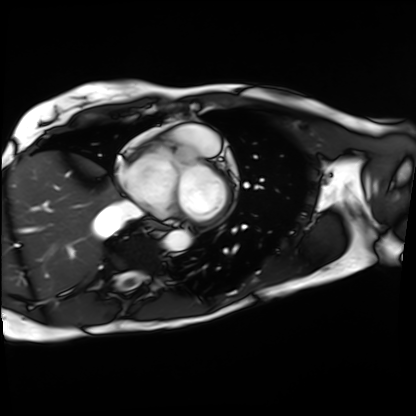
Cardiac MRI. Subject group: patient.